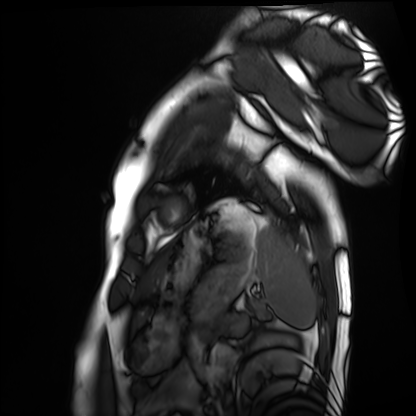
Case summary: Cardiac MRI. Subject group: healthy volunteer.